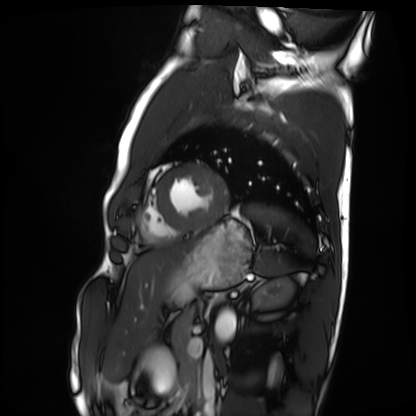
Cardiac MRI. Subject group: healthy volunteer.